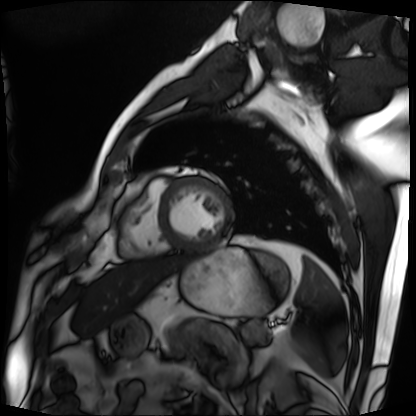
Cardiac MRI.
Subject group: patient.